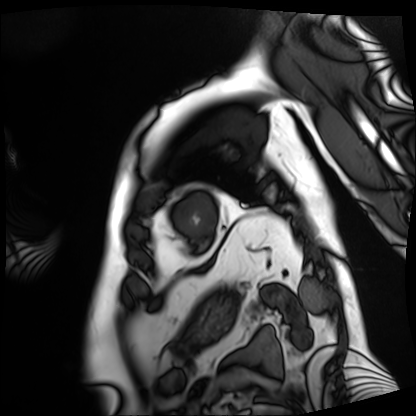
Q: What kind of scan is this?
A: Cardiac MRI.
Subject group: patient.